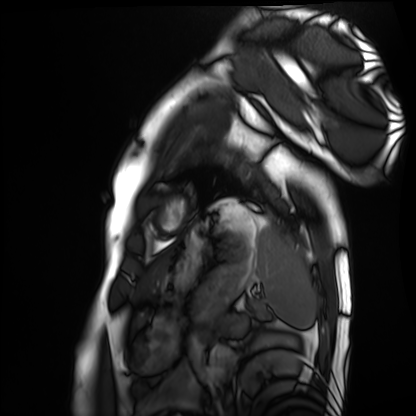
modality: cardiac MRI; subject group: healthy volunteer.